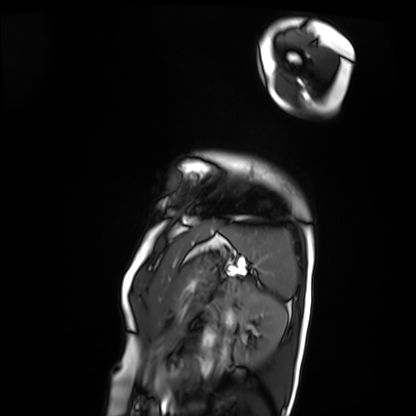
Cardiac MRI. Subject group: patient.